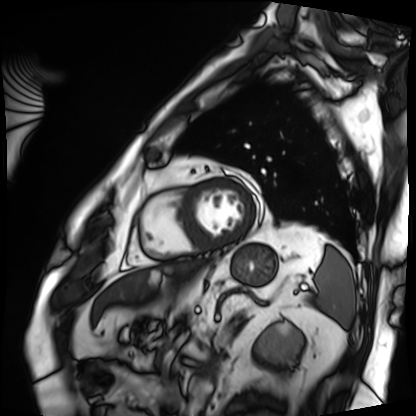
Summary: Cardiac MRI. Subject group: patient.